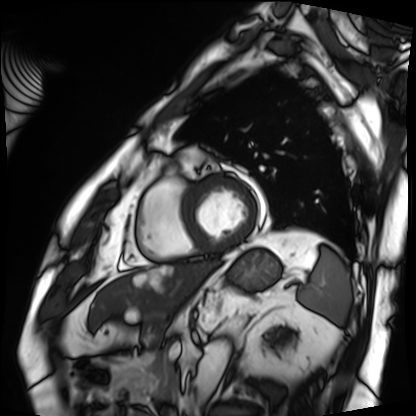
Cardiac MRI.
Subject group: patient.